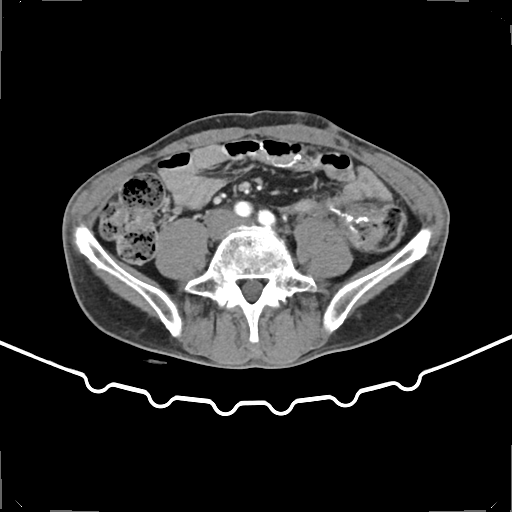
modality = multiphase abdominal CT, liver, arterial phase
patient = male, age 59